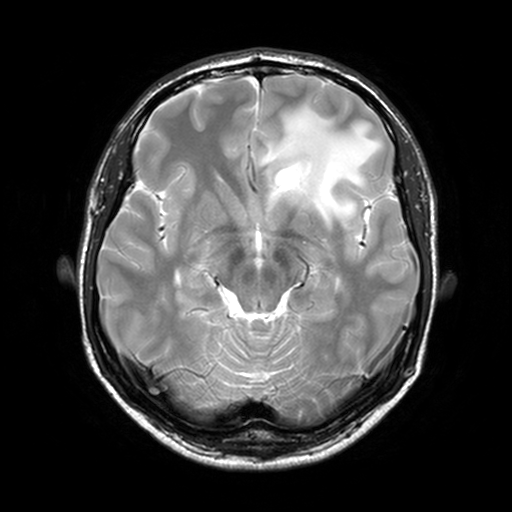
Case:
- modality · 3 Tesla brain MRI
- series · T2-weighted turbo spin echo, 3 mm
- study · ring-enhancing brain masses